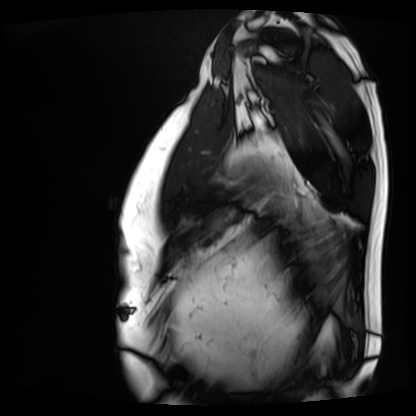
Cardiac MRI. Subject group: patient.